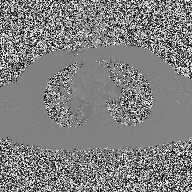
Case summary: 2D phase-contrast cine MRI of the ascending aorta, high-resolution GRAPPA acquisition.